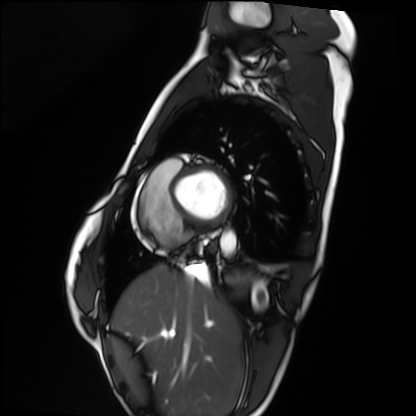
Case:
– modality · cardiac MRI
– subject group · healthy volunteer